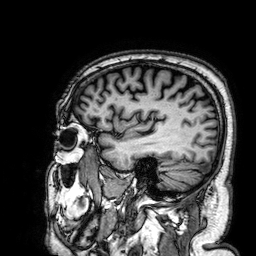
Q: What kind of scan is this?
A: 3 Tesla brain MRI.
Q: Series?
A: 3D T1-weighted.
Study: ring-enhancing brain masses.